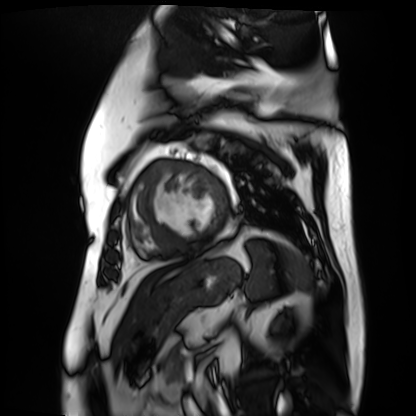
Summary: Cardiac MR image of the myocardium. Subject cohort: cardiac patient.